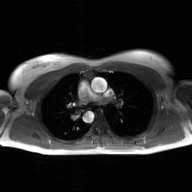
2D phase-contrast cine MRI of the ascending aorta, GAN super-resolution reconstruction.